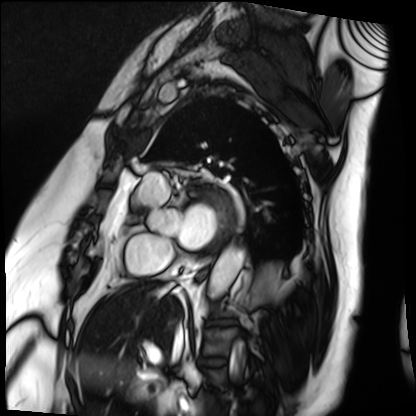
- modality — cardiac MRI
- subject group — patient